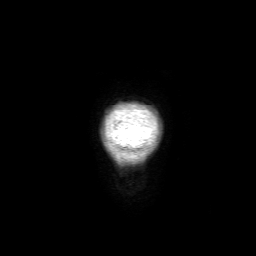
<scan>
<modality>
  <type>brain MRI</type>
  <field_strength>3T</field_strength>
</modality>
<study_topic>ring-enhancing brain masses</study_topic>
</scan>